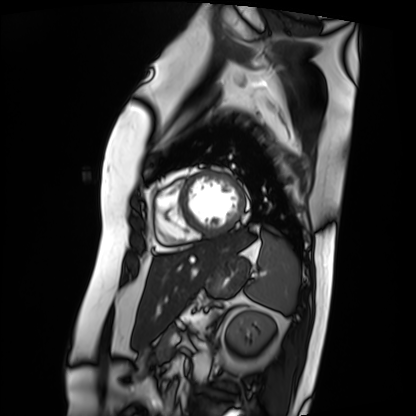
Summary: Cardiac MRI. Subject group: patient.